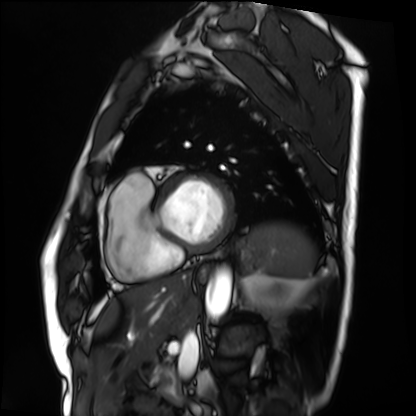
Cardiac MRI.
Subject group: patient.